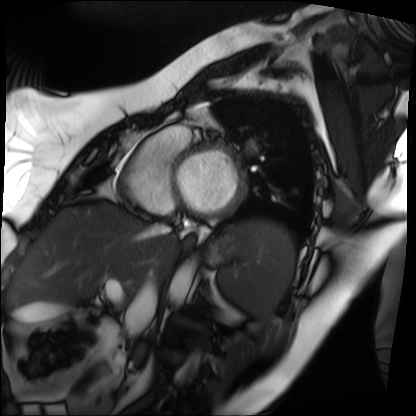
Q: What kind of scan is this?
A: Cardiac MRI.
Subject group: patient.